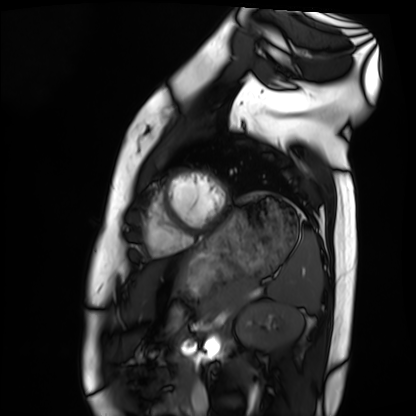
{"modality": "cardiac MRI", "cohort": "healthy volunteer"}